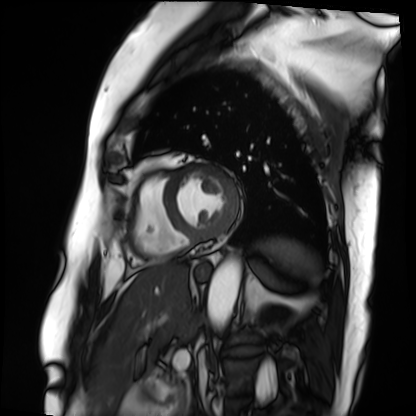
- modality — cardiac MRI
- subject group — patient